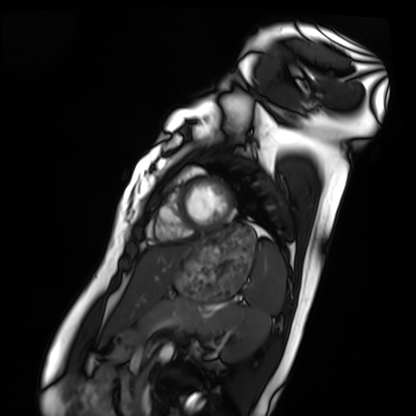
Cardiac MRI.
Subject group: healthy volunteer.